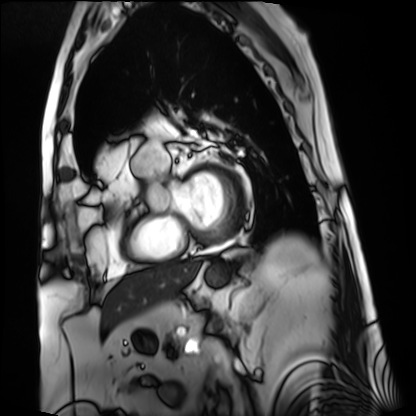
- modality · cardiac MRI
- subject group · patient